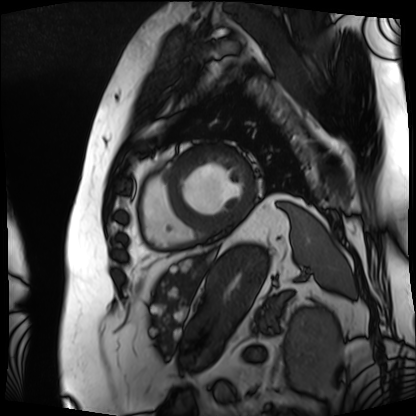
* modality · cardiac MRI
* subject group · patient